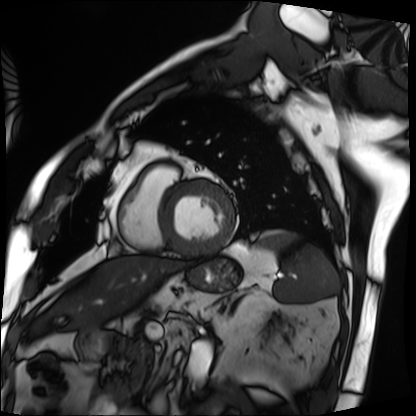
Cardiac MRI.
Subject group: patient.